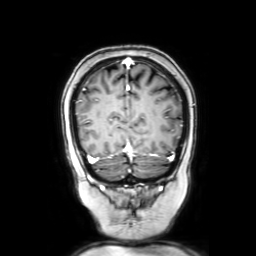
Case summary: 3 Tesla brain MRI. Series: coronal with contrast. Study: ring-enhancing brain masses.